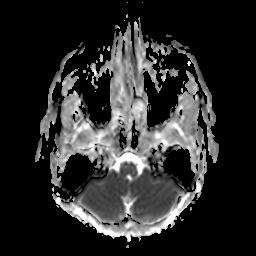
  modality:
    type: brain MRI
    field_strength: 3T
  series: apparent diffusion coefficient (ADC) map
  study_topic: ring-enhancing brain masses